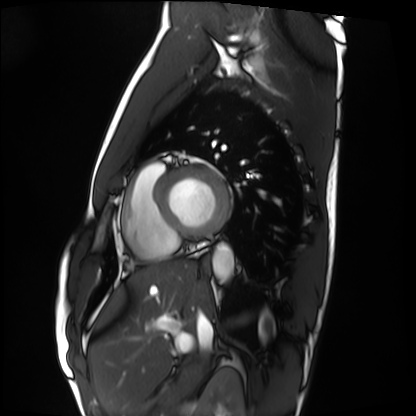
Cardiac MRI.
Subject group: healthy volunteer.